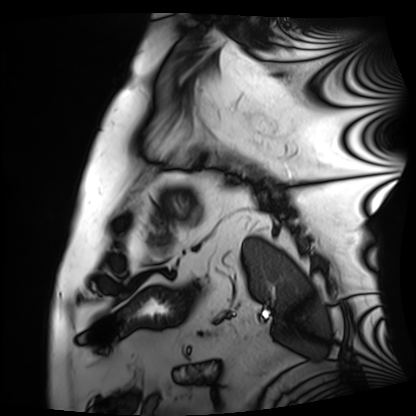
modality: cardiac MRI
subject group: patient